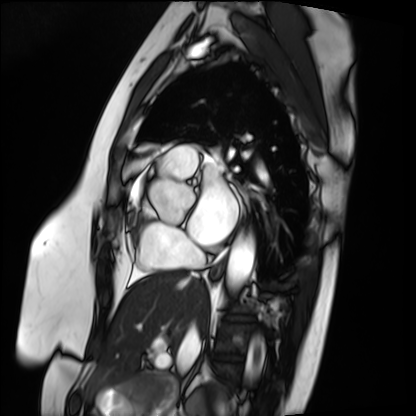
  modality: cardiac MRI
  cohort: patient